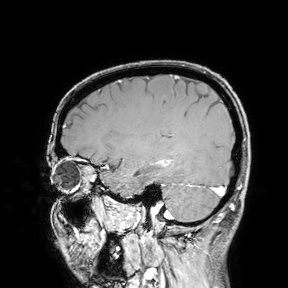
Q: What kind of scan is this?
A: 3 Tesla brain MRI.
Study: ring-enhancing brain masses.